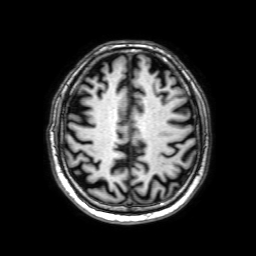
3 Tesla brain MRI.
Series: 3D T1-weighted with SENSE.
Study: ring-enhancing brain masses.